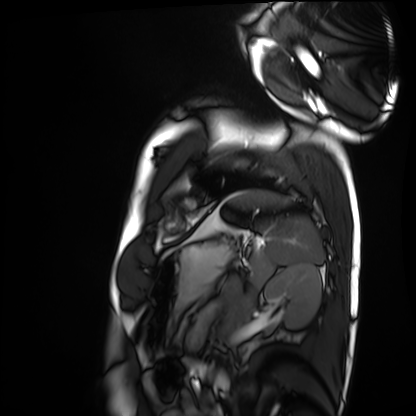
Summary:
Cardiac MRI. Subject group: healthy volunteer.